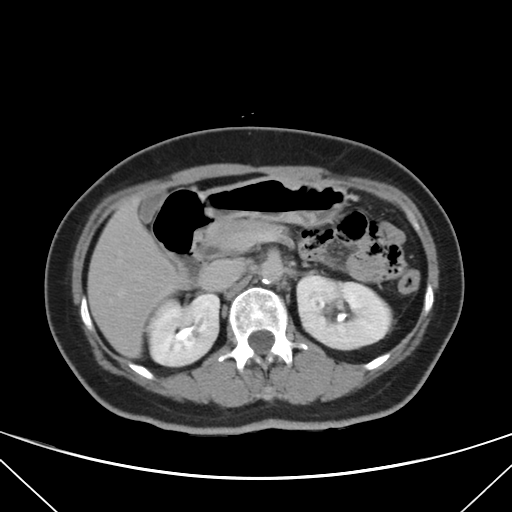
Summary: Multiphase abdominal CT, liver, delayed phase. Patient: female, age 56. History: viral hepatitis.